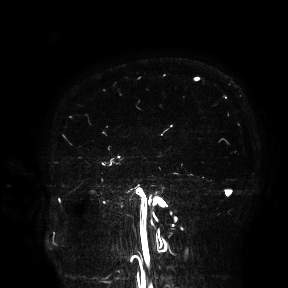
modality: 3 Tesla brain MRI
study: ring-enhancing brain masses